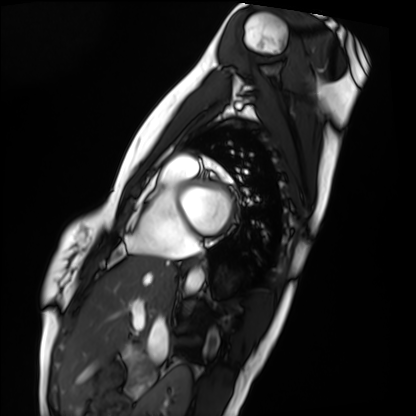
Clinical context:
Cardiac MRI. Subject group: healthy volunteer.